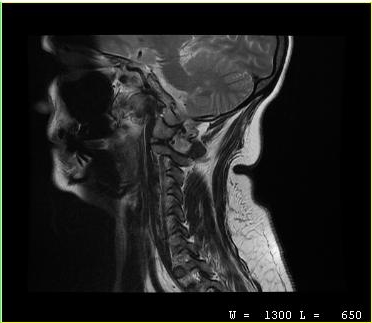
MRI of the cervical spine. Study: cervical spondylosis.